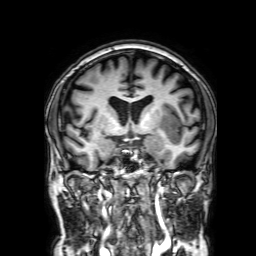
Q: What kind of scan is this?
A: 3 Tesla brain MRI.
Q: Series?
A: 3D T1-weighted with SENSE.
Study: ring-enhancing brain masses.